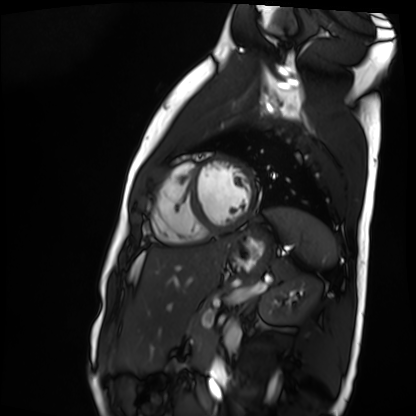
Summary: Cardiac MR image of the myocardium. Subject cohort: healthy volunteer.